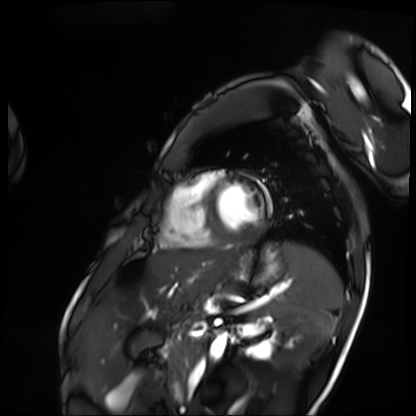
modality: cardiac MRI | subject group: patient.